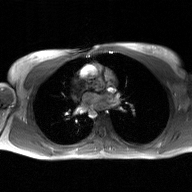
Summary: 2D phase-contrast cine MRI of the ascending aorta, GAN super-resolution reconstruction.